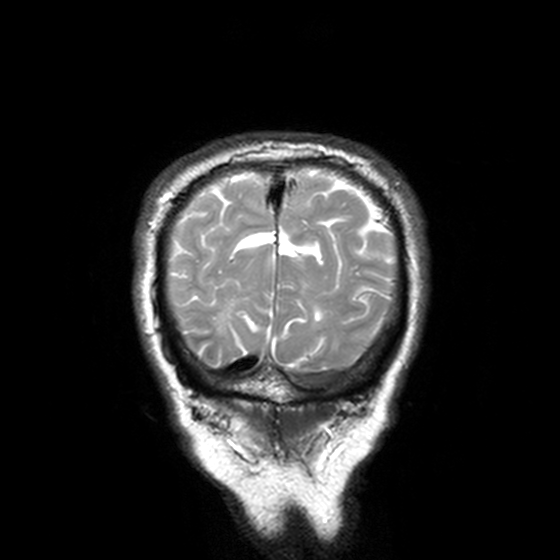
{
  "modality": {
    "type": "brain MRI",
    "field_strength": "3T"
  },
  "series": "T2-weighted turbo spin echo, 3 mm",
  "study_topic": "ring-enhancing brain masses"
}